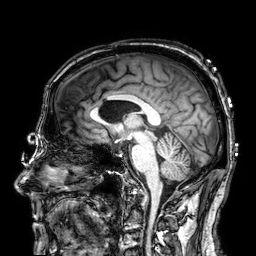
3 Tesla brain MRI. Series: 3D T1-weighted. Study: ring-enhancing brain masses.